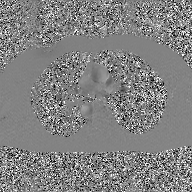
Summary:
2D phase-contrast cine MRI of the ascending aorta, GAN super-resolution reconstruction.